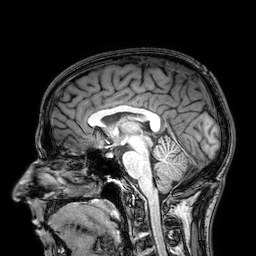
• modality — 3 Tesla brain MRI
• study — ring-enhancing brain masses